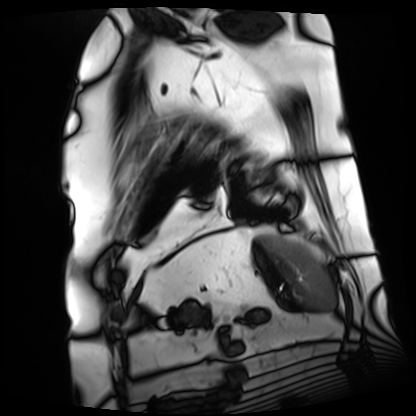
Cardiac MRI. Subject group: patient.